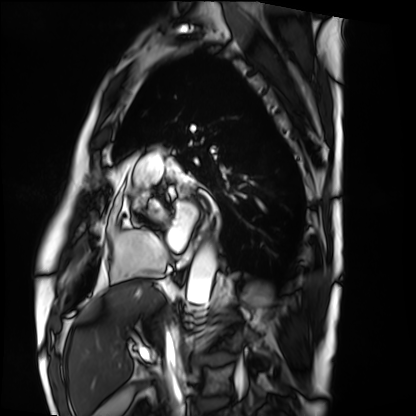
Summary:
Cardiac MRI. Subject group: patient.